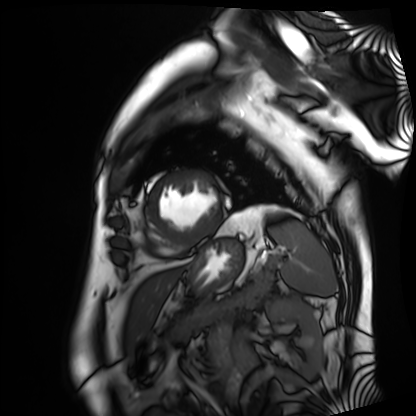
Cardiac MRI. Subject group: patient.